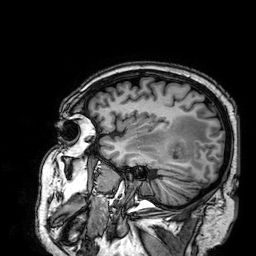
Summary: 3 Tesla brain MRI. Series: 3D T1-weighted. Study: ring-enhancing brain masses.